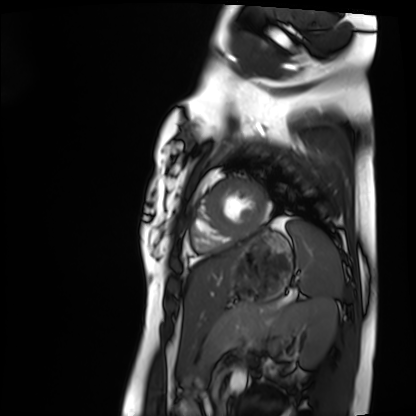
Cardiac MRI.
Subject group: healthy volunteer.